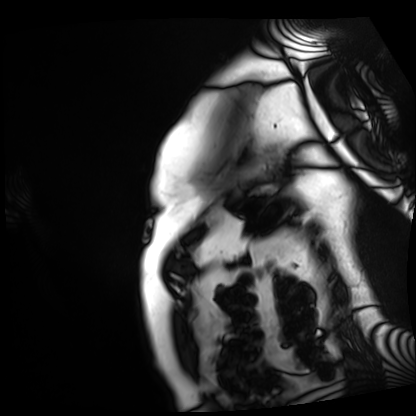
modality — cardiac MRI
subject group — patient